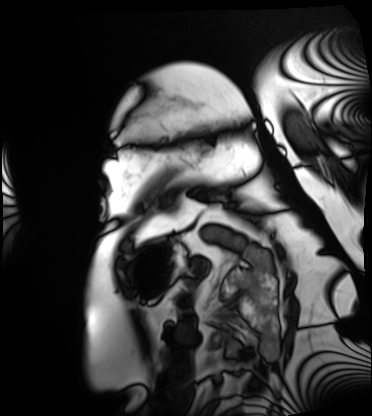
Cardiac MRI. Subject group: patient.